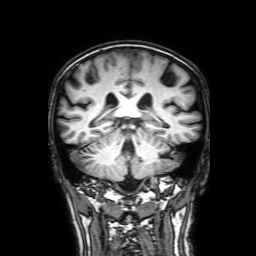
3 Tesla brain MRI.
Series: 3D T1-weighted with SENSE.
Study: ring-enhancing brain masses.